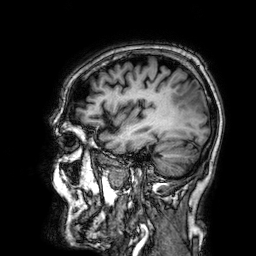
modality = 3 Tesla brain MRI | series = 3D T1-weighted | study = ring-enhancing brain masses.